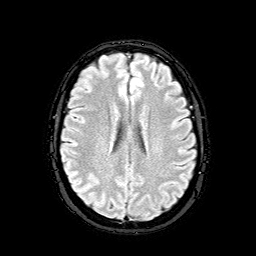
3 Tesla brain MRI.
Series: FLAIR with SPAIR.
Study: ring-enhancing brain masses.